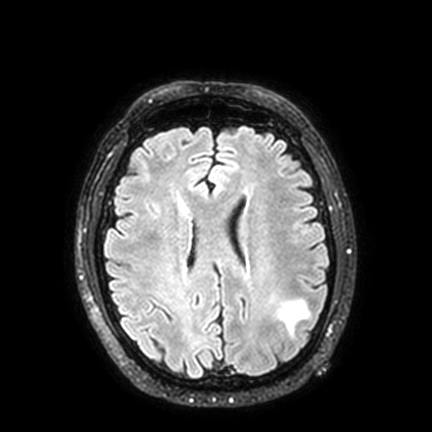
3 Tesla brain MRI.
Series: FLAIR VISTA with SENSE.
Study: ring-enhancing brain masses.